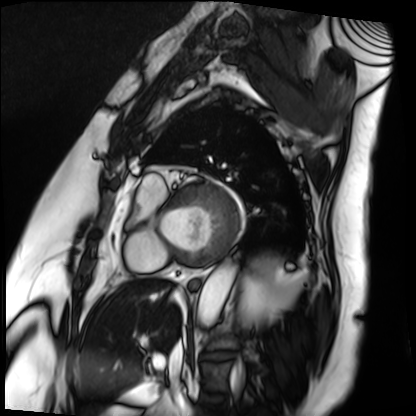
<record>
<modality>cardiac MRI</modality>
<cohort>patient</cohort>
</record>